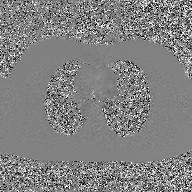
Clinical context:
2D phase-contrast cine MRI of the ascending aorta, GAN super-resolution reconstruction.